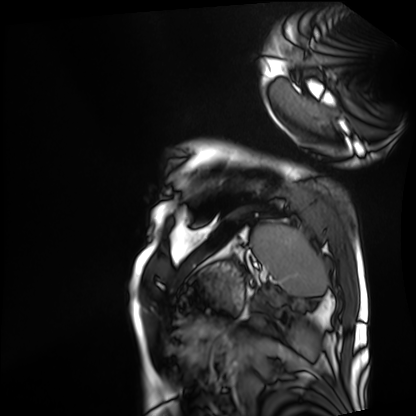
modality: cardiac MRI
subject group: patient